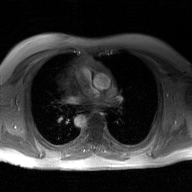
modality: 2D phase-contrast cine MRI of the ascending aorta, GAN super-resolution reconstruction.